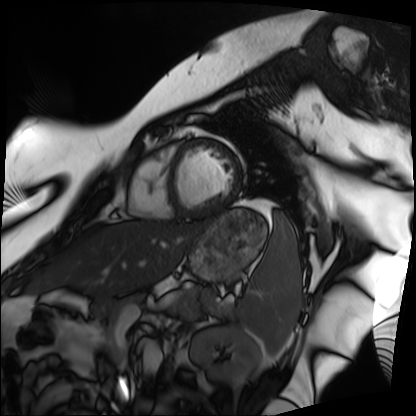
Cardiac MRI.
Subject group: patient.